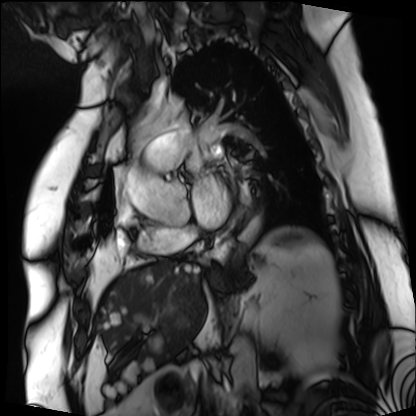
modality: cardiac MRI, subject group: patient.